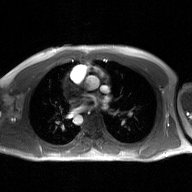
2D phase-contrast cine MRI of the ascending aorta, GAN super-resolution reconstruction.